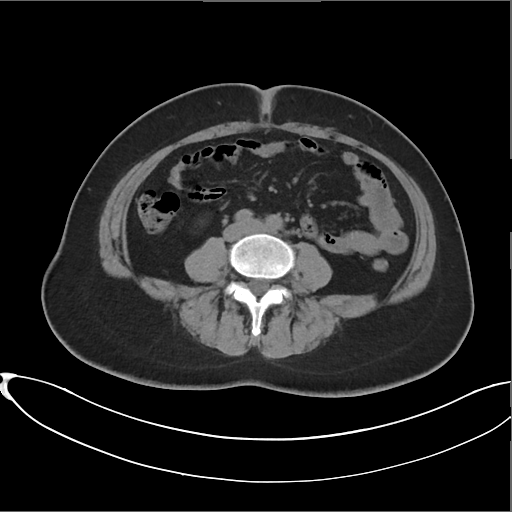
modality = multiphase abdominal CT, liver, non-contrast phase
patient = female, age 45
history = prior chemotherapy